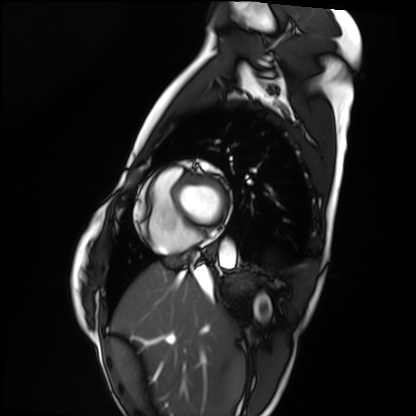
Cardiac MRI. Subject group: healthy volunteer.